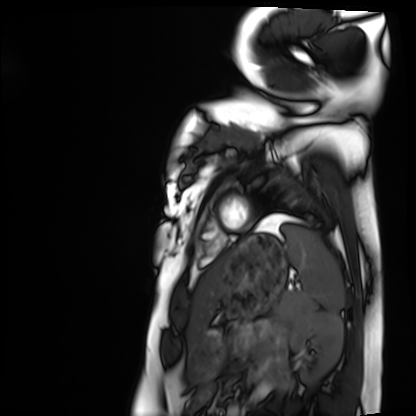
Cardiac MRI. Subject group: healthy volunteer.